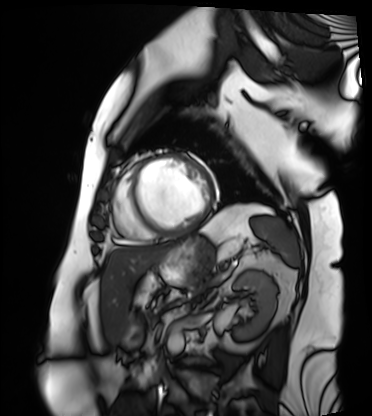
Summary:
Cardiac MRI. Subject group: patient.